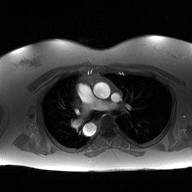
2D phase-contrast cine MRI of the ascending aorta, high-resolution GRAPPA acquisition.